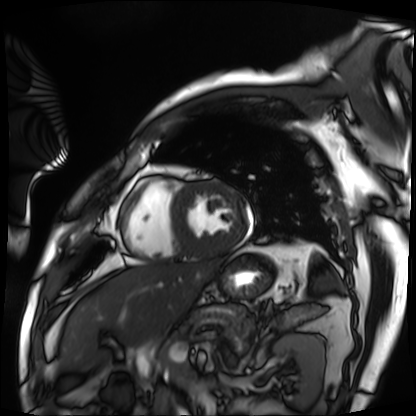
Case:
* modality · cardiac MRI
* subject group · patient